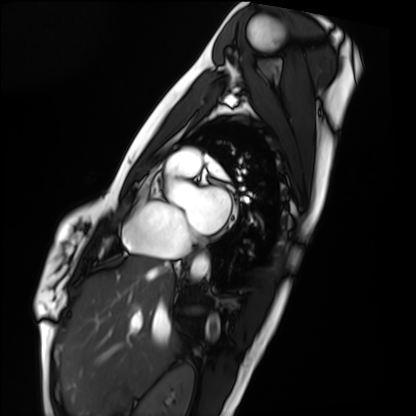
Cardiac MRI.
Subject group: healthy volunteer.